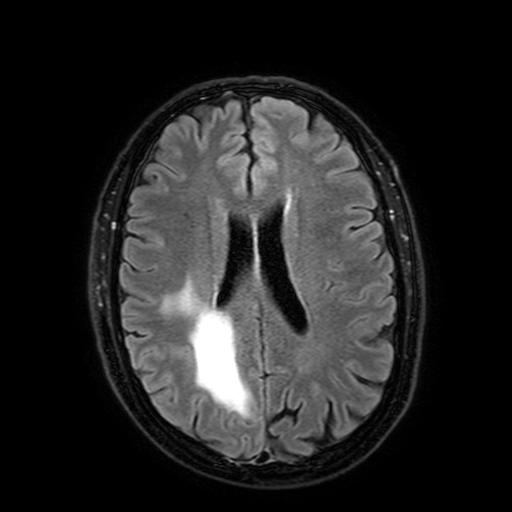
3 Tesla brain MRI.
Series: FLAIR with SPAIR, 3 mm.
Study: ring-enhancing brain masses.